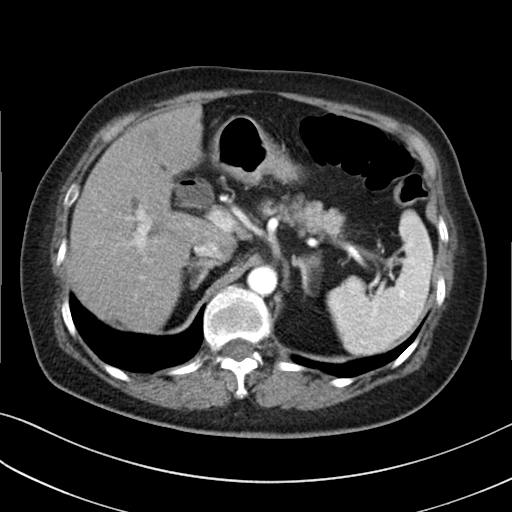
Multiphase abdominal CT, liver, arterial phase. Patient: female, age 71.